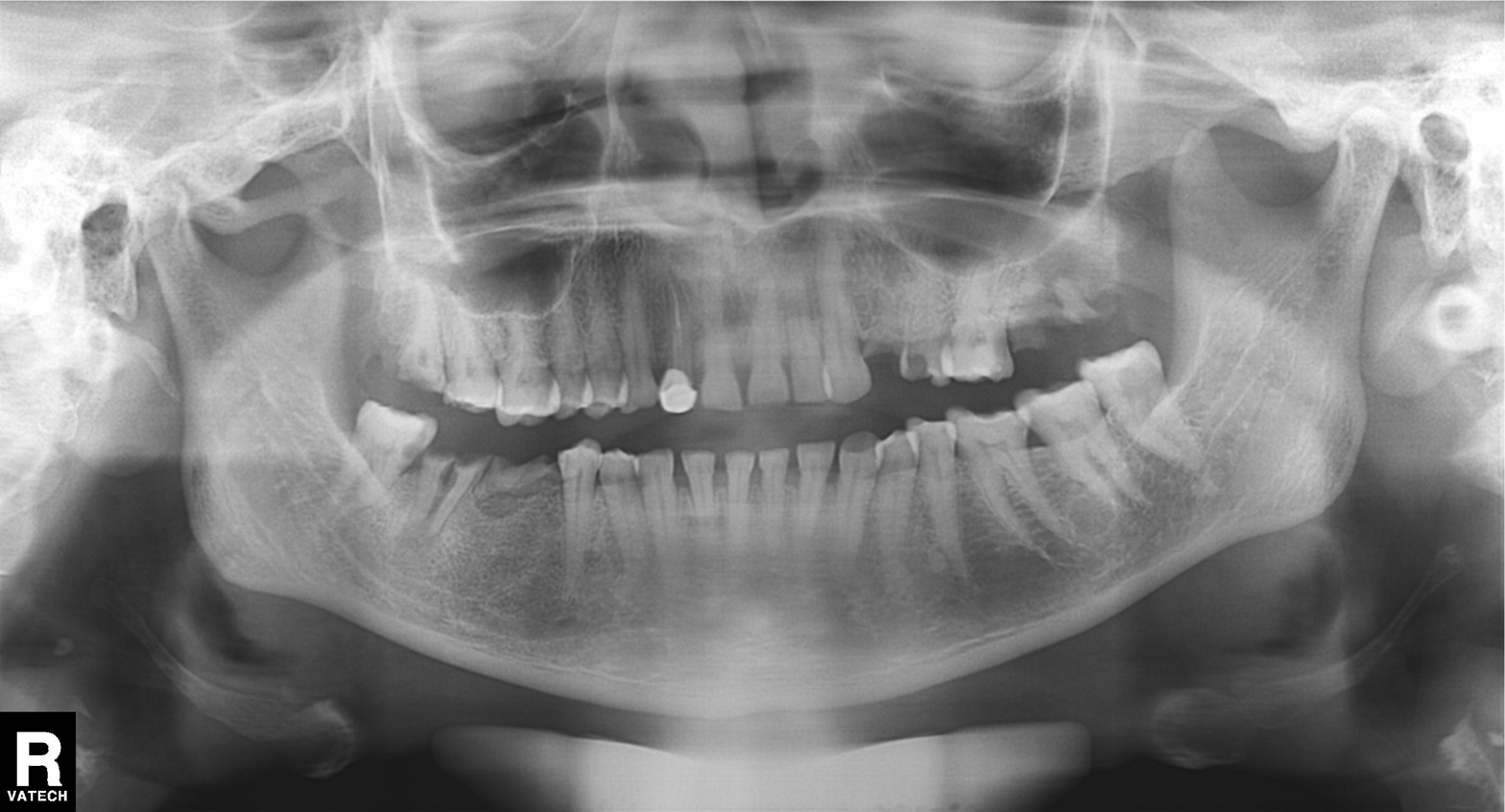
Q: What kind of scan is this?
A: Panoramic dental radiograph (orthopantomogram).
Q: What is the radiographic finding?
A: Tooth impaction.